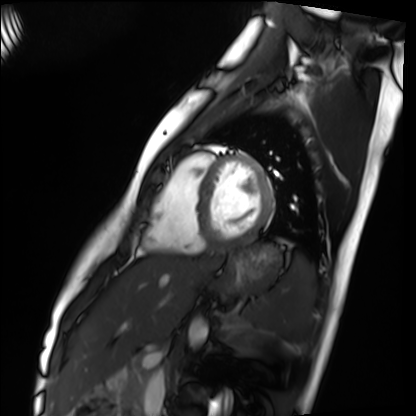
Clinical context: Cardiac MRI. Subject group: healthy volunteer.